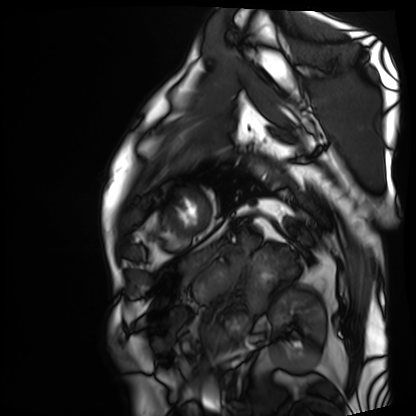
Q: What kind of scan is this?
A: Cardiac MRI.
Subject group: patient.